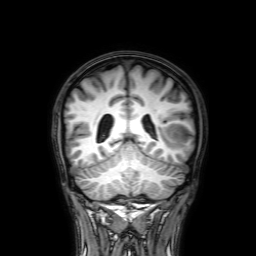
3 Tesla brain MRI. Series: 3D T1-weighted with SENSE. Study: ring-enhancing brain masses.